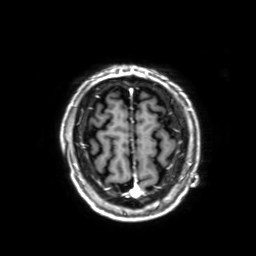
3 Tesla brain MRI. Series: 3D T1-weighted with SENSE. Study: ring-enhancing brain masses.